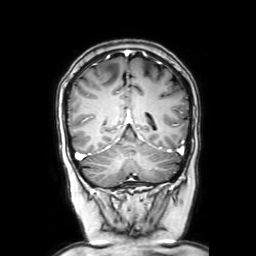
modality: 3 Tesla brain MRI
series: coronal with contrast
study: ring-enhancing brain masses